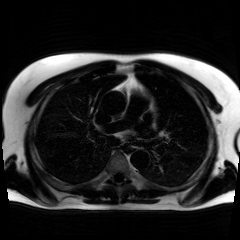
Chemical-shift-encoded cardiac MRI.